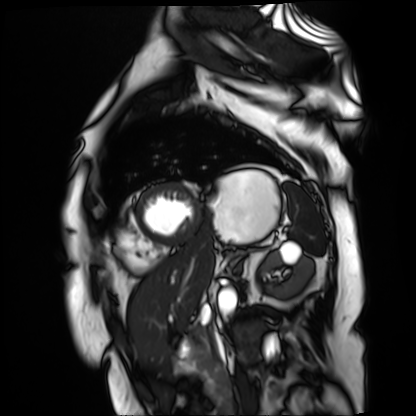
modality: cardiac MR image of the myocardium; subject cohort: cardiac patient.